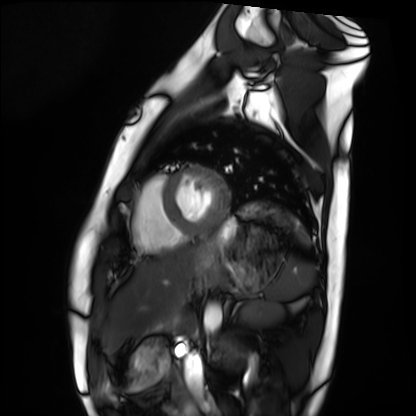
modality: cardiac MRI; subject group: healthy volunteer.